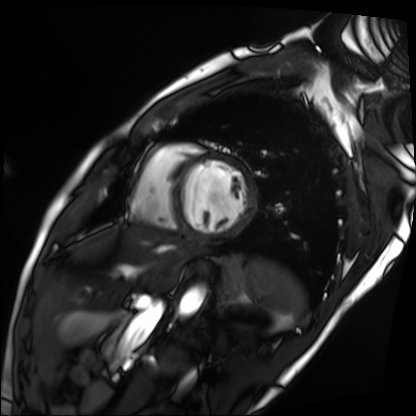
{
  "modality": "cardiac MRI",
  "cohort": "patient"
}